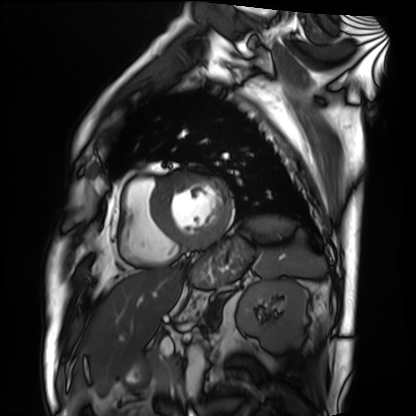
Cardiac MRI. Subject group: patient.